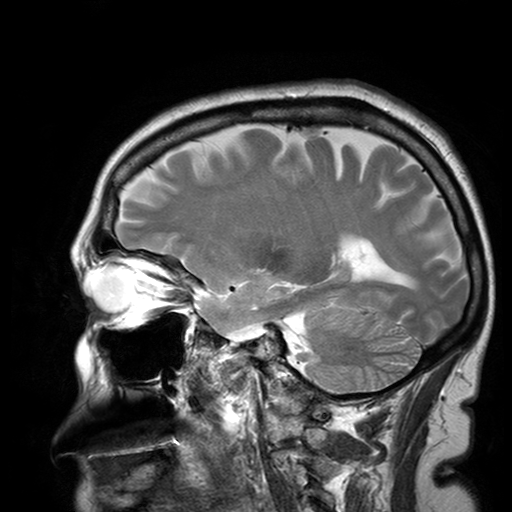
Summary:
3 Tesla brain MRI. Series: T2-weighted turbo spin echo with SENSE. Study: ring-enhancing brain masses.